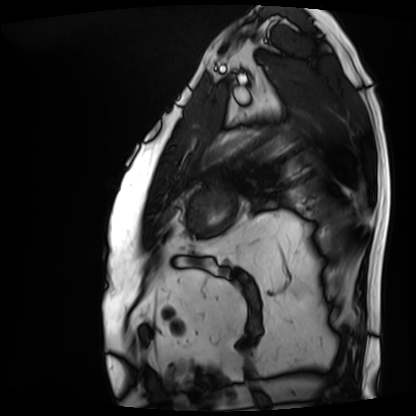
Case summary: Cardiac MRI. Subject group: patient.